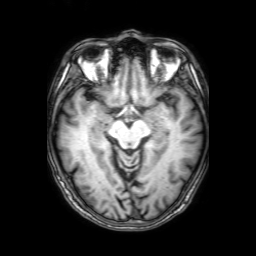
3 Tesla brain MRI.
Study: ring-enhancing brain masses.